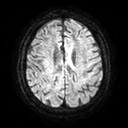
3 Tesla brain MRI. Series: diffusion tensor imaging (medium iso). Study: ring-enhancing brain masses.